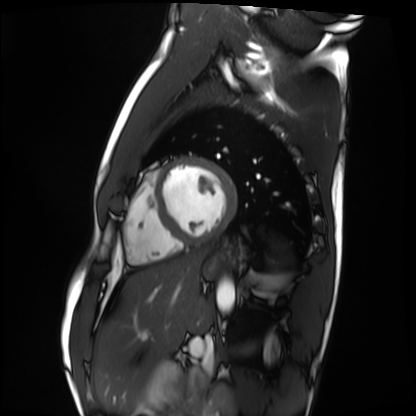
<scan>
<modality>cardiac MRI</modality>
<cohort>healthy volunteer</cohort>
</scan>